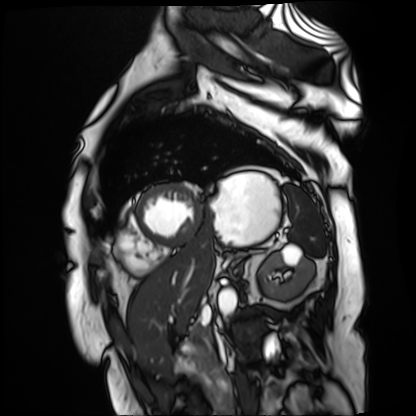
Summary: Cardiac MR image of the myocardium. Subject cohort: cardiac patient.